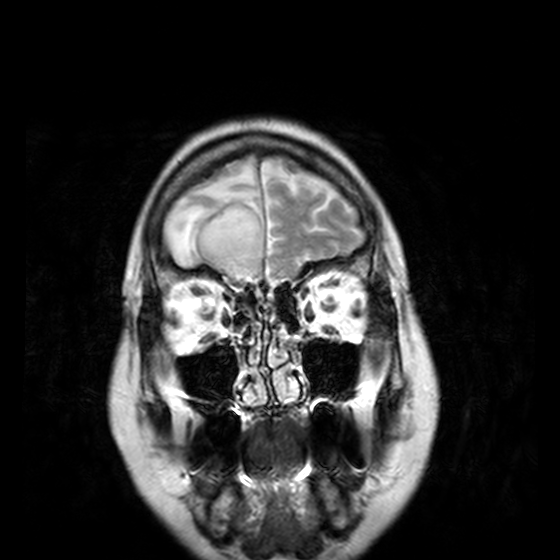
  modality:
    type: brain MRI
    field_strength: 3T
  series: T2-weighted turbo spin echo, 3 mm
  study_topic: ring-enhancing brain masses